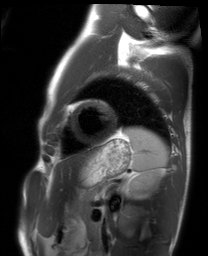
modality: cardiac MRI | subject group: healthy volunteer.